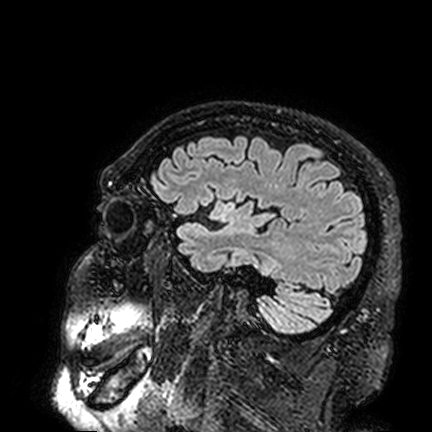
3 Tesla brain MRI. Study: ring-enhancing brain masses.